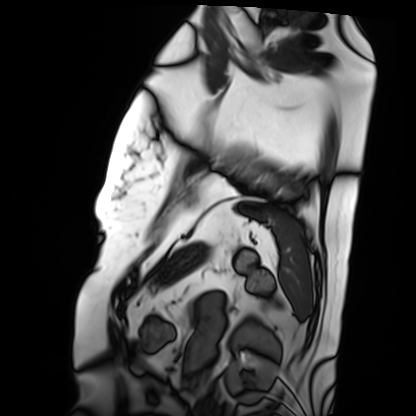
Clinical context: Cardiac MRI. Subject group: patient.